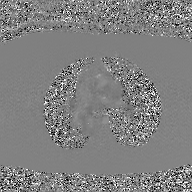
2D phase-contrast cine MRI of the ascending aorta, GAN super-resolution reconstruction.